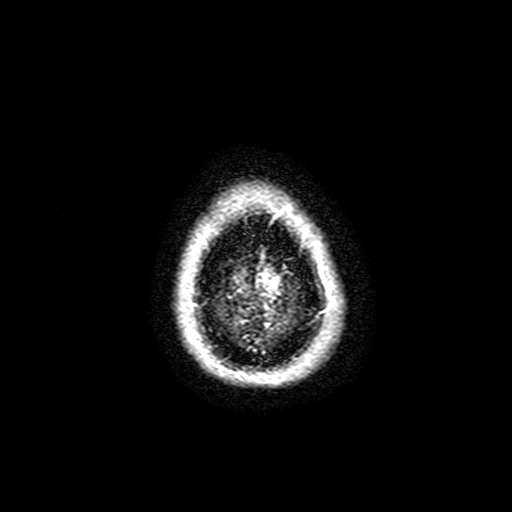
Q: What kind of scan is this?
A: 3 Tesla brain MRI.
Q: Series?
A: FLAIR with SPAIR, 3 mm.
Study: ring-enhancing brain masses.